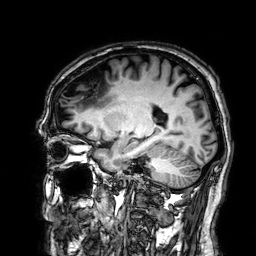
modality = 3 Tesla brain MRI | series = 3D T1-weighted | study = ring-enhancing brain masses.